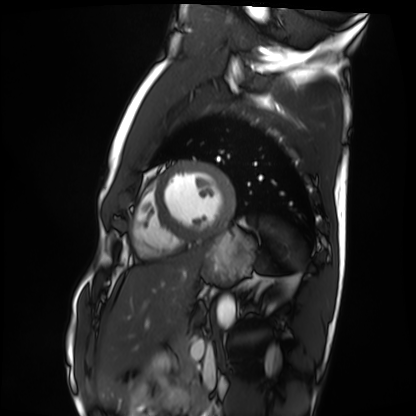
<case>
  <modality>cardiac MRI</modality>
  <cohort>healthy volunteer</cohort>
</case>